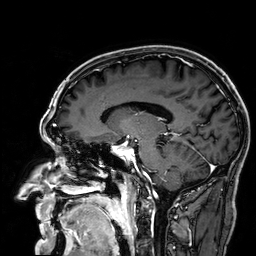
| field | value |
|---|---|
| modality | 3 Tesla brain MRI |
| series | 3D T1-weighted |
| study | ring-enhancing brain masses |